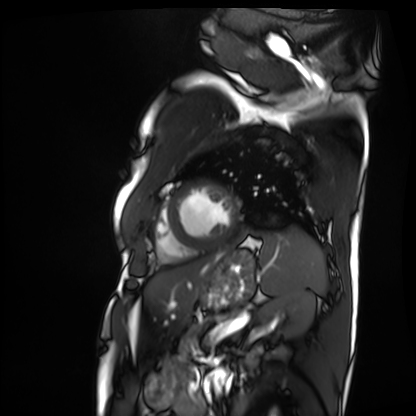
• modality — cardiac MRI
• subject group — patient